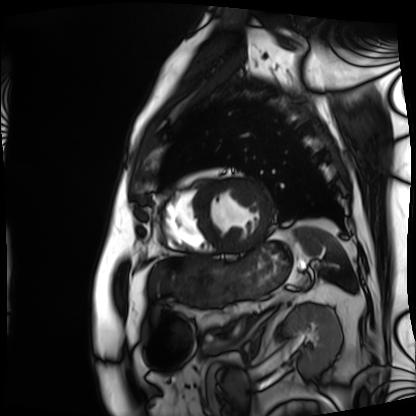
Case:
– modality — cardiac MRI
– subject group — patient